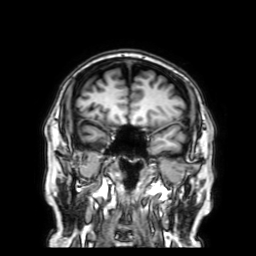
<study>
<modality>
  <type>brain MRI</type>
  <field_strength>3T</field_strength>
</modality>
<series>3D T1-weighted with SENSE</series>
<study_topic>ring-enhancing brain masses</study_topic>
</study>